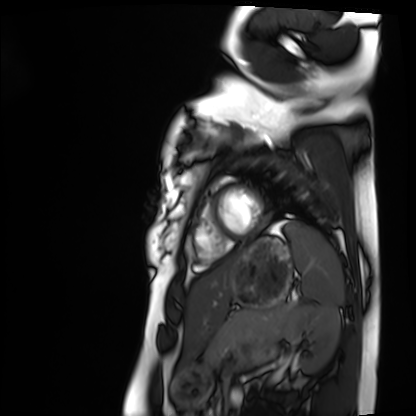
Cardiac MRI. Subject group: healthy volunteer.